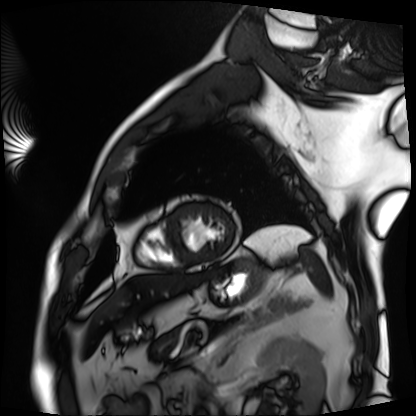
Case:
• modality — cardiac MRI
• subject group — patient